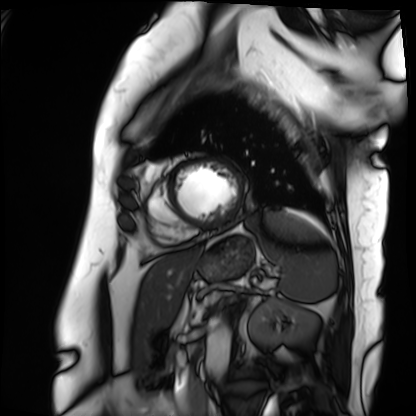
| field | value |
|---|---|
| modality | cardiac MRI |
| subject group | patient |